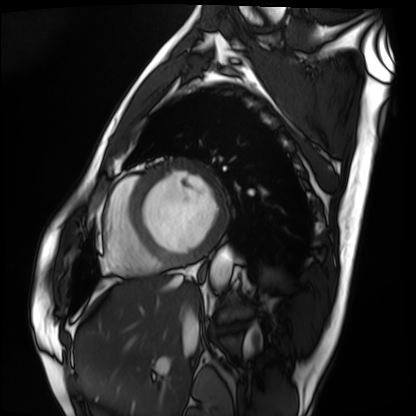
Cardiac MRI.
Subject group: patient.